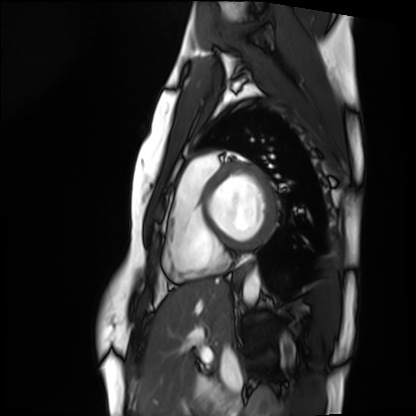
Q: What kind of scan is this?
A: Cardiac MRI.
Subject group: healthy volunteer.